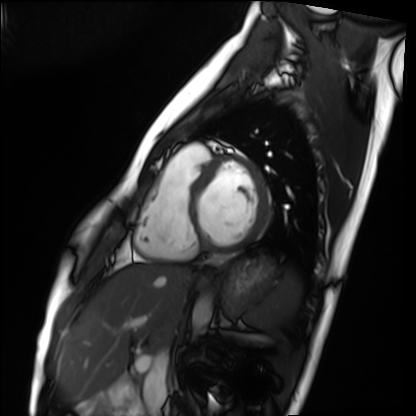
Case summary:
Cardiac MRI. Subject group: healthy volunteer.